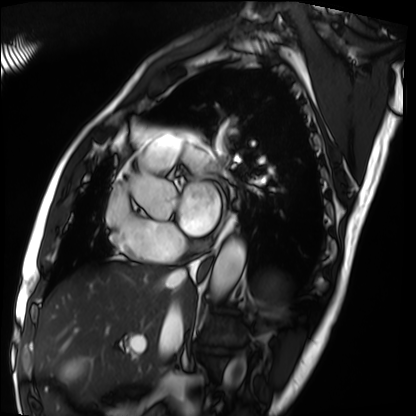
Cardiac MRI.
Subject group: patient.